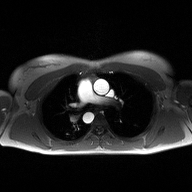
modality: 2D phase-contrast cine MRI of the ascending aorta.